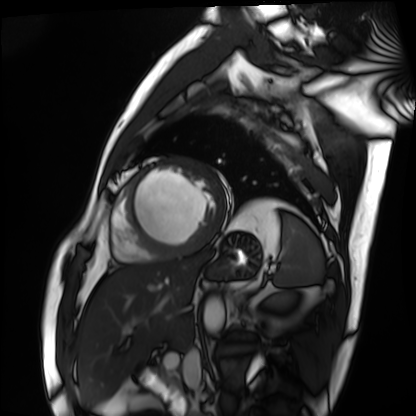
{
  "modality": "cardiac MRI",
  "cohort": "patient"
}